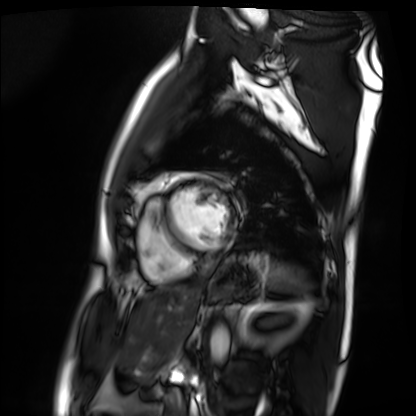
modality: cardiac MRI, subject group: patient.